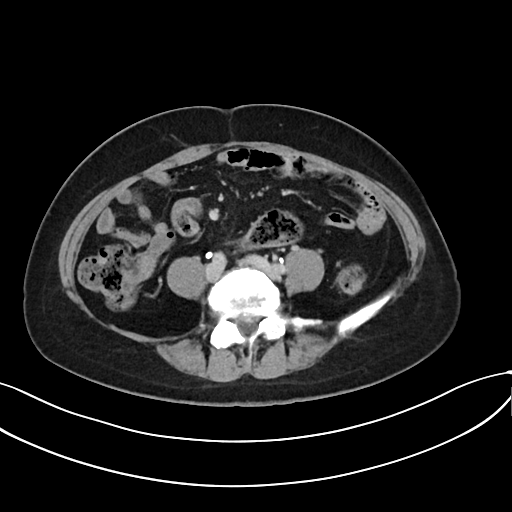
Multiphase abdominal CT, liver, delayed phase.
Patient: female, age 48.
History: prior chemotherapy.